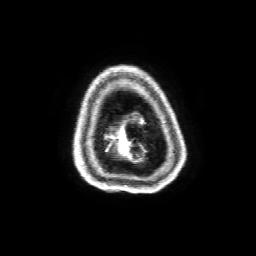
Summary:
3 Tesla brain MRI. Series: 3D T1-weighted with SENSE. Study: ring-enhancing brain masses.